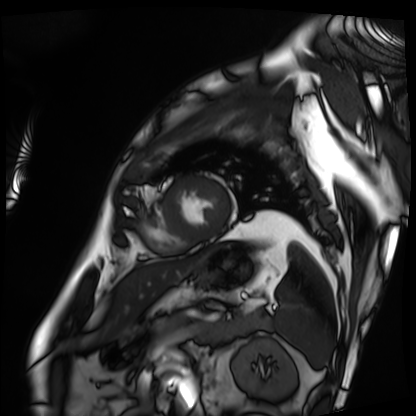
  modality: cardiac MRI
  cohort: patient